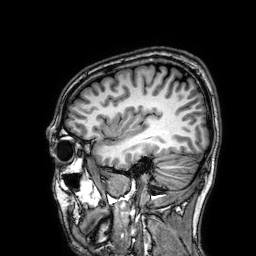
3 Tesla brain MRI.
Series: 3D T1-weighted.
Study: ring-enhancing brain masses.